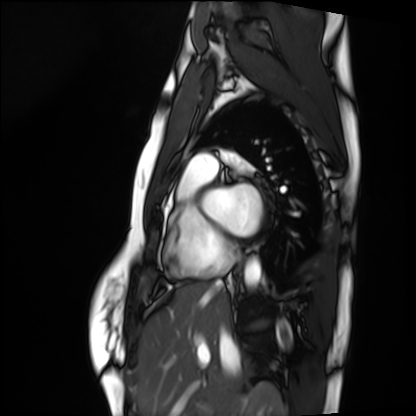
Summary: Cardiac MRI. Subject group: healthy volunteer.